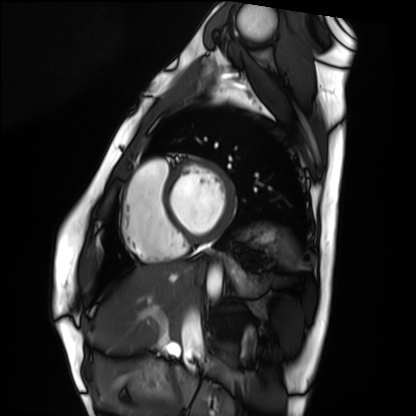
- modality — cardiac MRI
- subject group — healthy volunteer